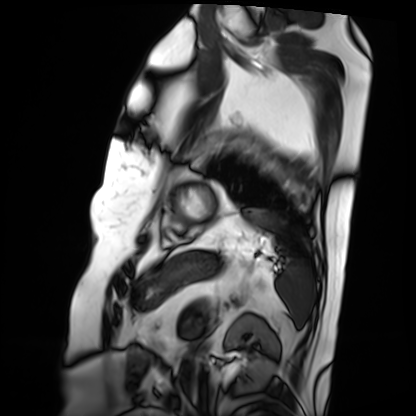
modality — cardiac MRI | subject group — patient.